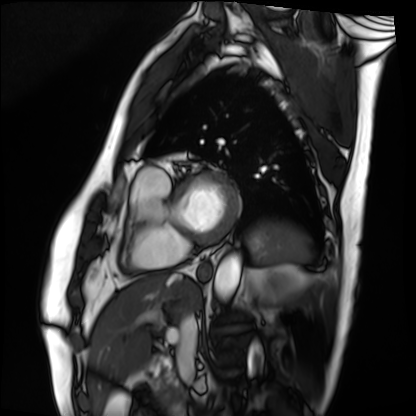
Clinical context:
Cardiac MRI. Subject group: patient.